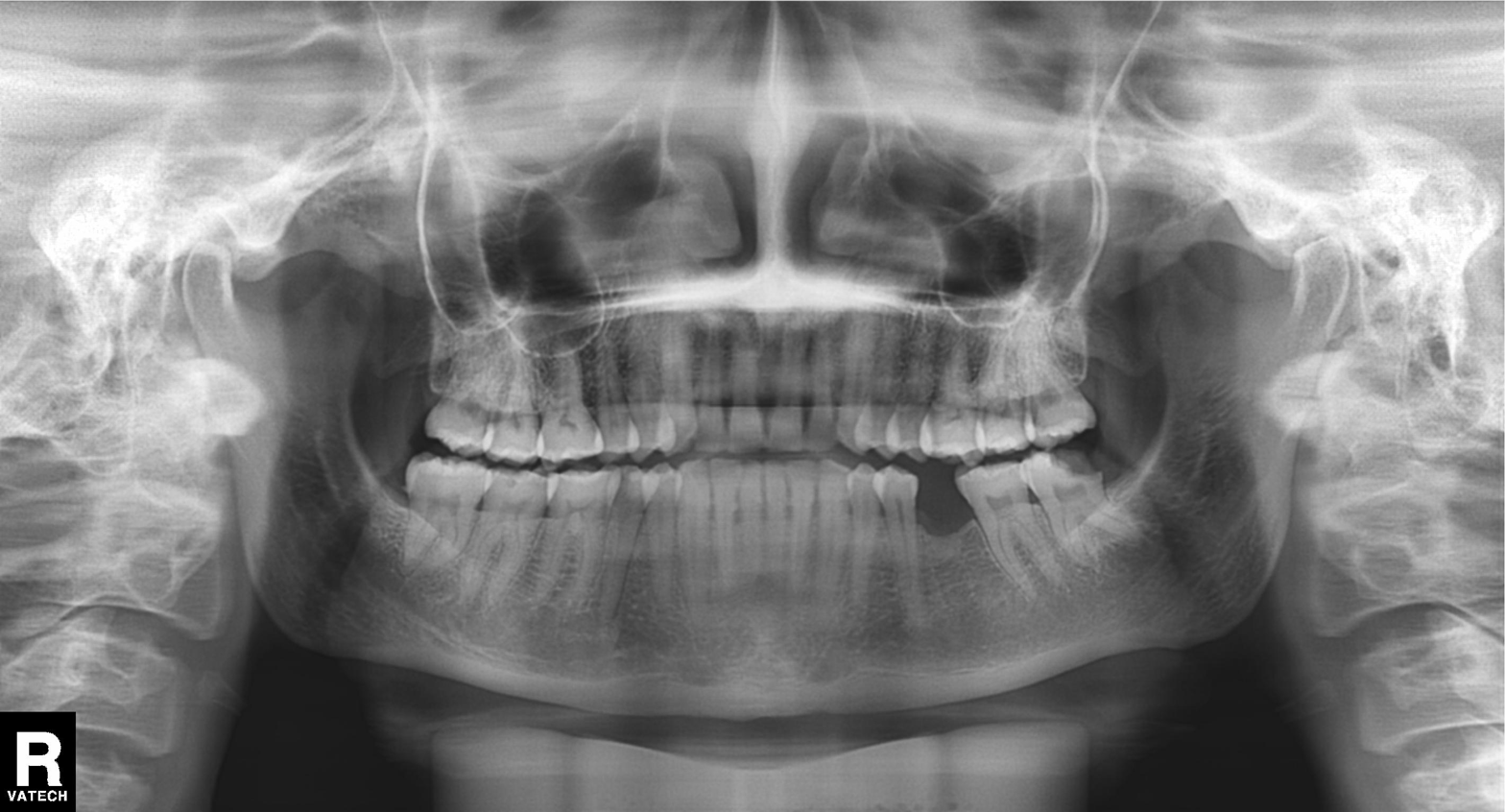
Case:
– modality: panoramic dental radiograph (orthopantomogram)
– finding: tooth impaction